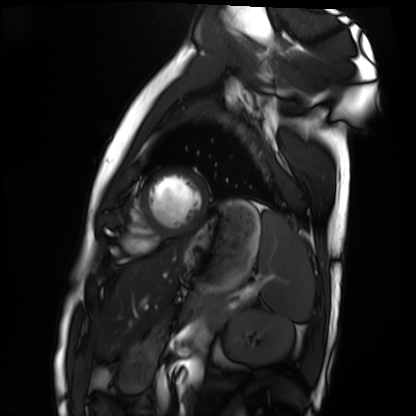
Summary:
Cardiac MRI. Subject group: healthy volunteer.